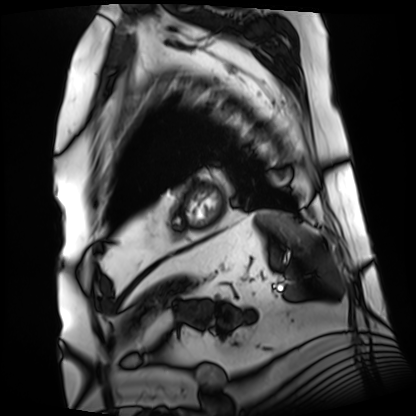
Cardiac MRI.
Subject group: patient.